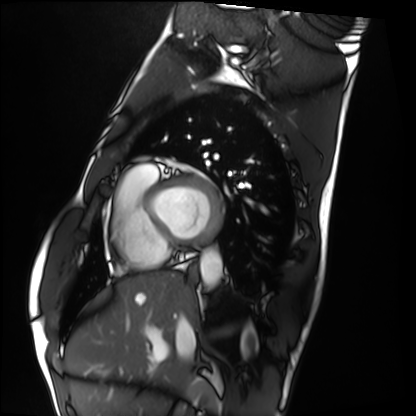
Cardiac MRI. Subject group: healthy volunteer.